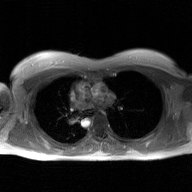
modality: 2D phase-contrast cine MRI of the ascending aorta, GAN super-resolution reconstruction.